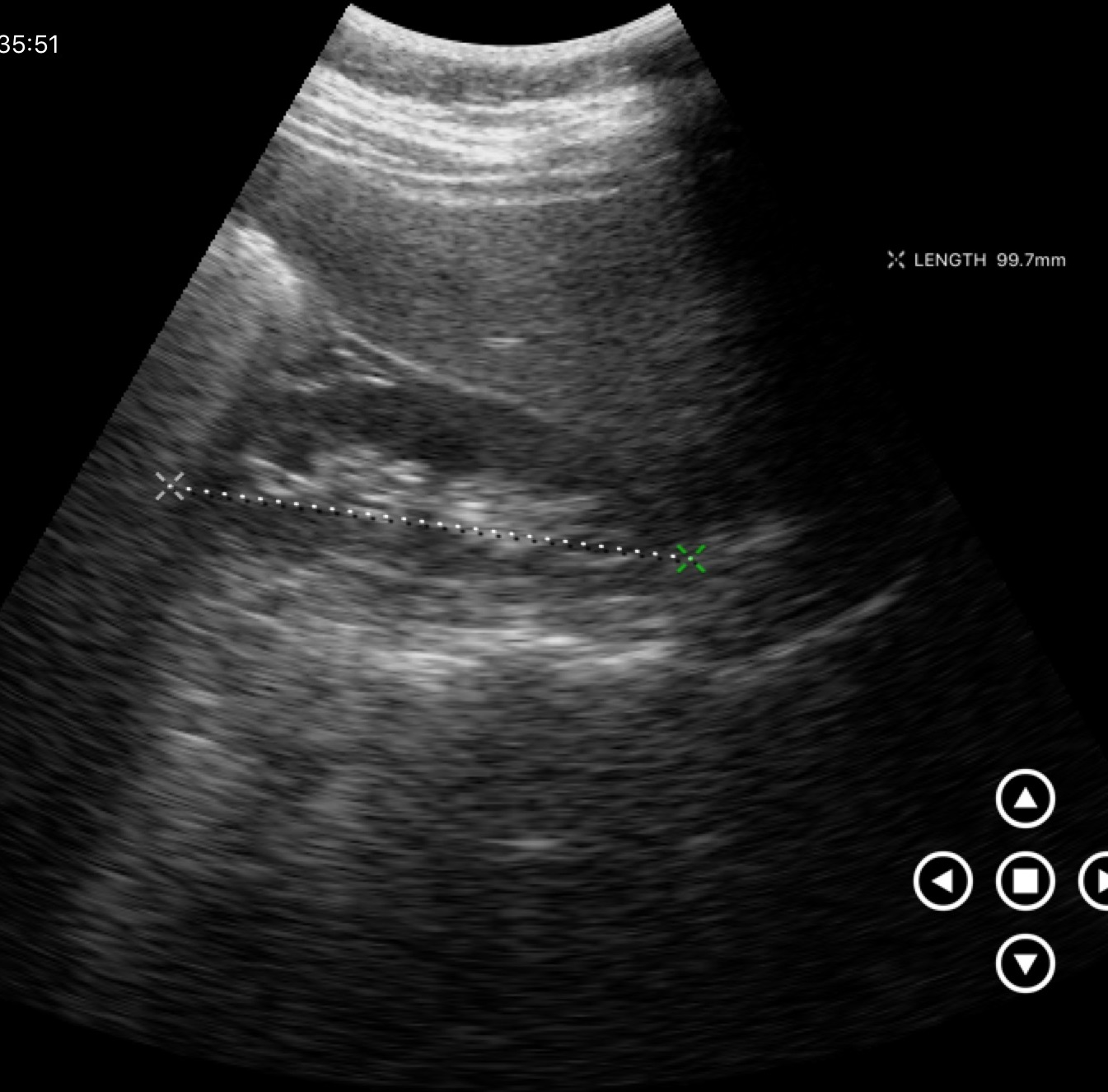
Clinical context: Genitourinary ultrasound.